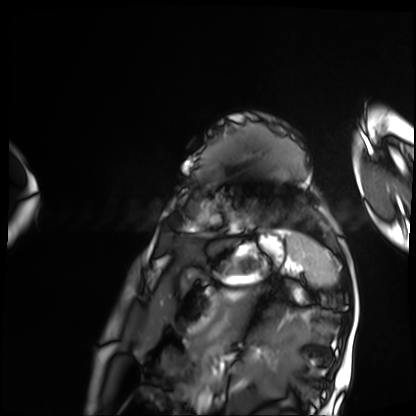
Cardiac MRI. Subject group: patient.